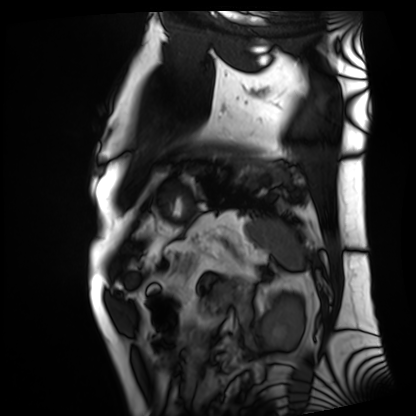
Cardiac MRI. Subject group: patient.